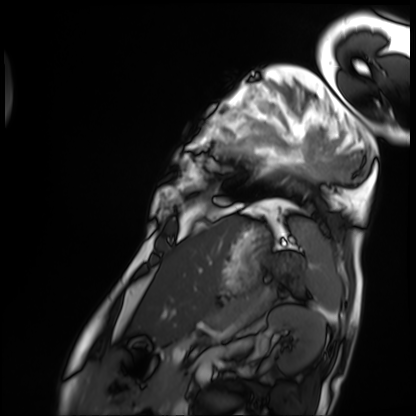
Cardiac MRI.
Subject group: patient.